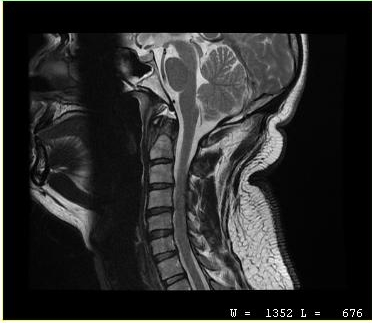
modality: MRI of the cervical spine
study: cervical spondylosis